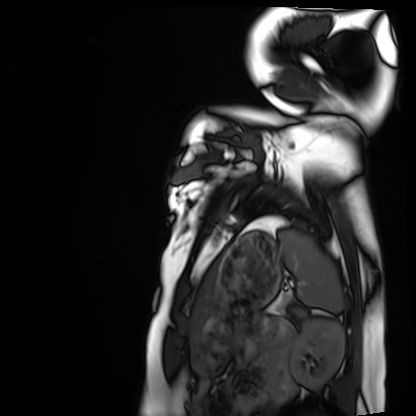
Case summary:
Cardiac MRI. Subject group: healthy volunteer.